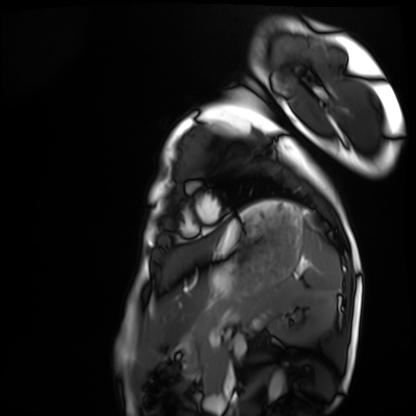
| field | value |
|---|---|
| modality | cardiac MRI |
| subject group | healthy volunteer |